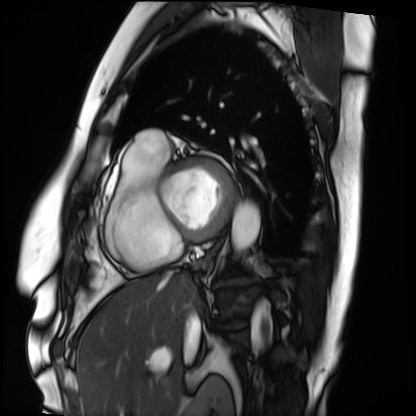
<scan>
  <modality>cardiac MRI</modality>
  <cohort>patient</cohort>
</scan>